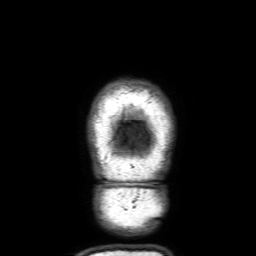
modality: 3 Tesla brain MRI | series: 3D T1-weighted with SENSE | study: ring-enhancing brain masses.